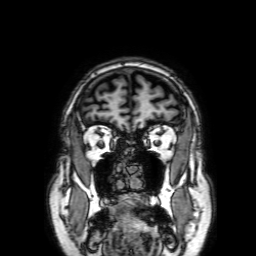
Summary: 3 Tesla brain MRI. Series: 3D T1-weighted with SENSE. Study: ring-enhancing brain masses.